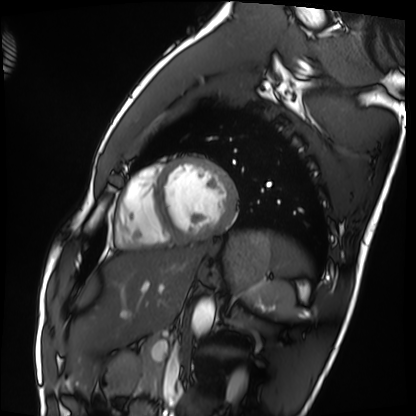
Cardiac MRI. Subject group: healthy volunteer.